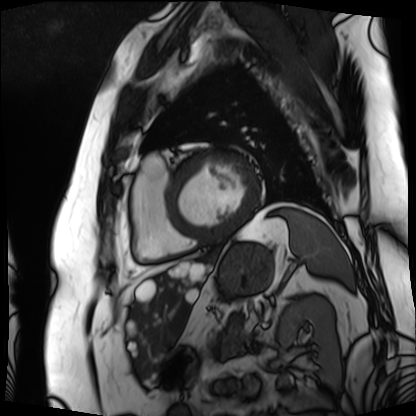
{"modality": "cardiac MRI", "cohort": "patient"}